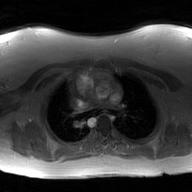
Q: What kind of scan is this?
A: 2D phase-contrast cine MRI of the ascending aorta, GAN super-resolution reconstruction.